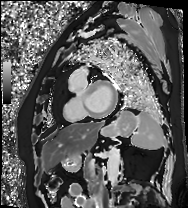
modality: cardiac MRI | subject group: patient.